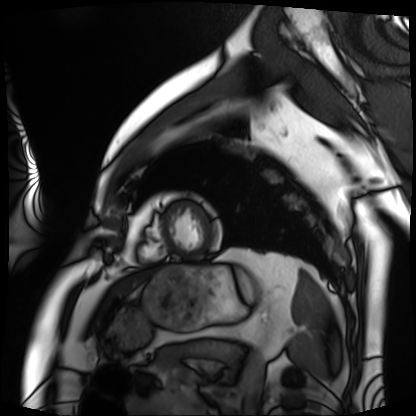
Cardiac MRI. Subject group: patient.